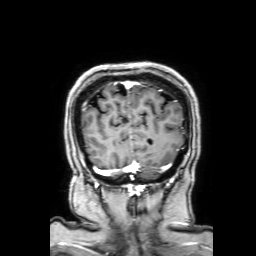
3 Tesla brain MRI. Series: 3D T1-weighted with SENSE. Study: ring-enhancing brain masses.